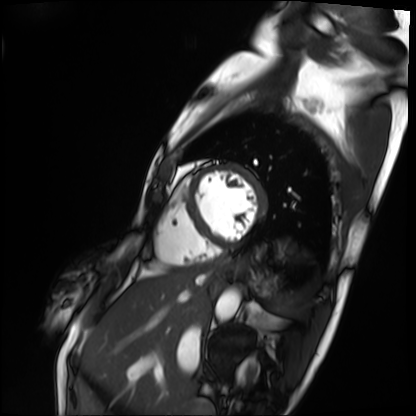
Q: What kind of scan is this?
A: Cardiac MRI.
Subject group: patient.